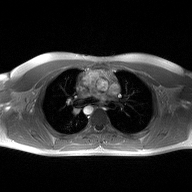
{"modality": {"type": "2D phase-contrast cine MRI", "region": "ascending aorta", "reconstruction": "high-resolution GRAPPA acquisition"}}